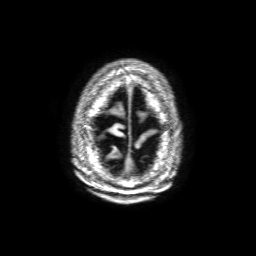
3 Tesla brain MRI.
Series: 3D T1-weighted with SENSE.
Study: ring-enhancing brain masses.